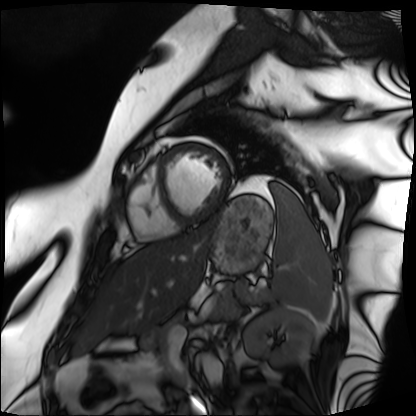
| field | value |
|---|---|
| modality | cardiac MRI |
| subject group | patient |